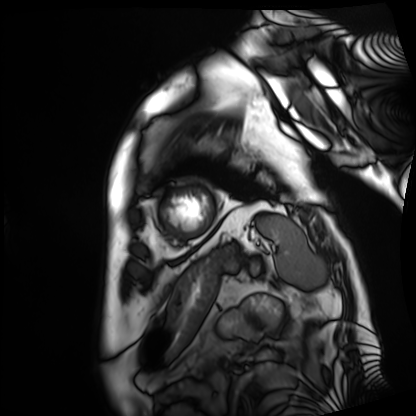
modality: cardiac MRI; subject group: patient.